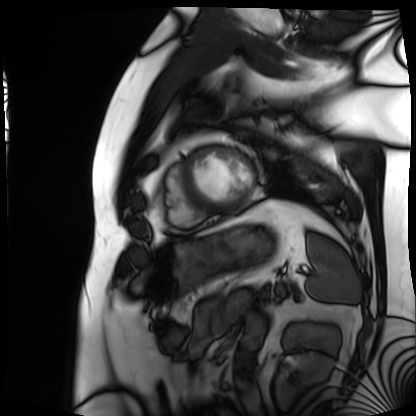
  modality: cardiac MRI
  cohort: patient